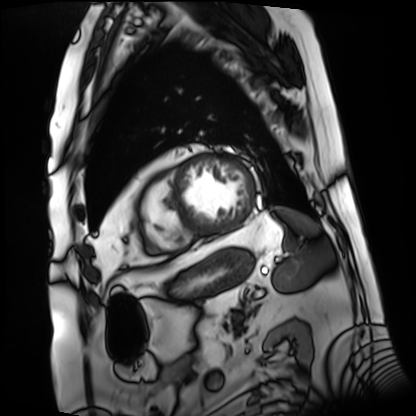
Summary: Cardiac MRI. Subject group: patient.